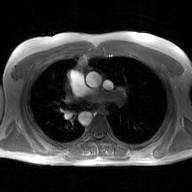
  modality:
    type: 2D phase-contrast cine MRI
    region: ascending aorta
    reconstruction: GAN super-resolution reconstruction